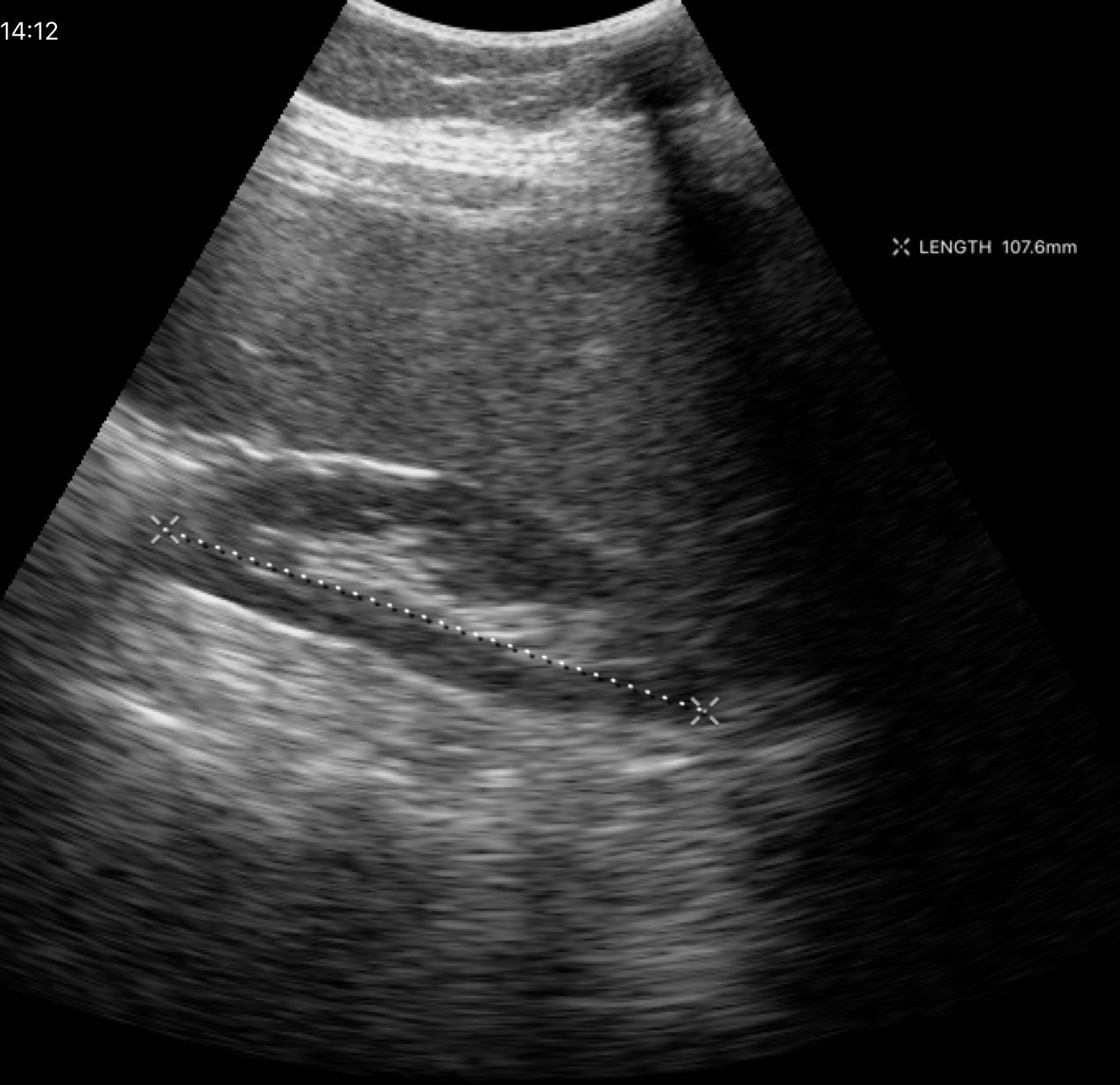
modality = genitourinary ultrasound.